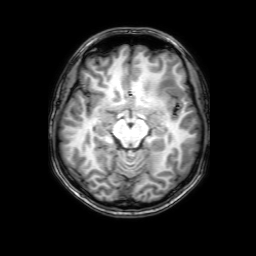
3 Tesla brain MRI.
Series: 3D T1-weighted with SENSE.
Study: ring-enhancing brain masses.